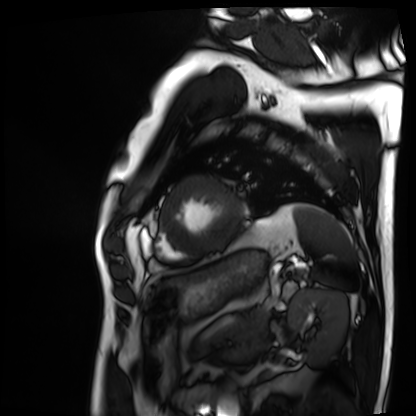
Cardiac MRI. Subject group: patient.